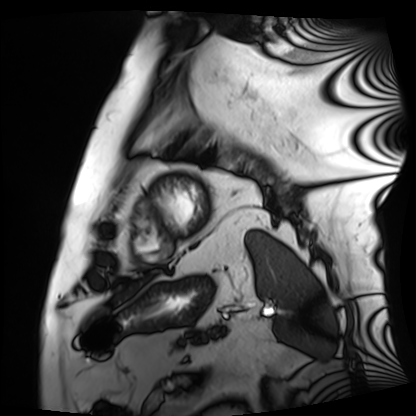
modality: cardiac MRI
cohort: patient